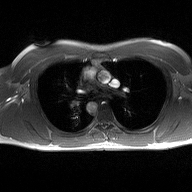
2D phase-contrast cine MRI of the ascending aorta, high-resolution GRAPPA acquisition.